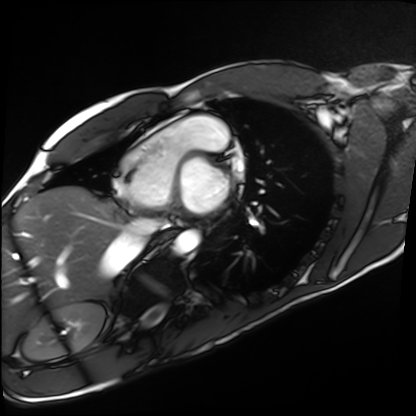
Cardiac MRI.
Subject group: healthy volunteer.